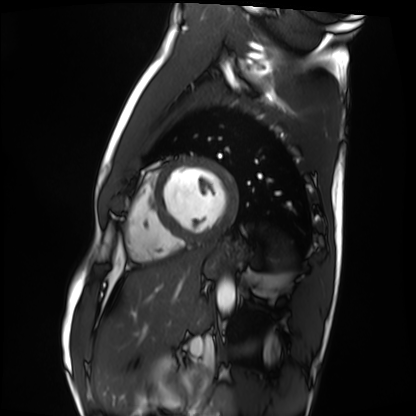
  modality: cardiac MRI
  cohort: healthy volunteer